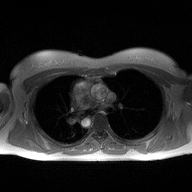
modality=2D phase-contrast cine MRI of the ascending aorta.